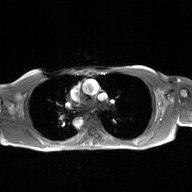
Case summary:
2D phase-contrast cine MRI of the ascending aorta, GAN super-resolution reconstruction.